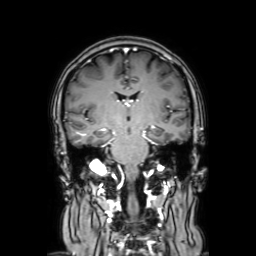
Q: What kind of scan is this?
A: 3 Tesla brain MRI.
Q: Series?
A: Coronal with contrast.
Study: ring-enhancing brain masses.